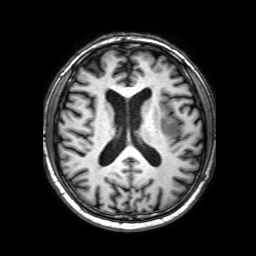
modality: 3 Tesla brain MRI; study: ring-enhancing brain masses.